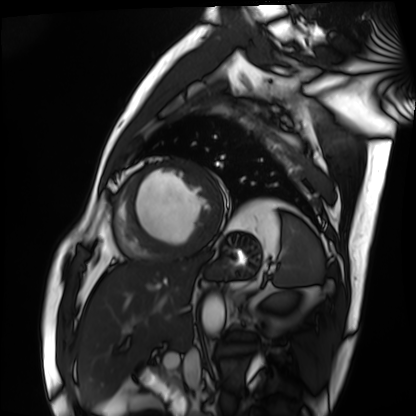
Cardiac MRI. Subject group: patient.